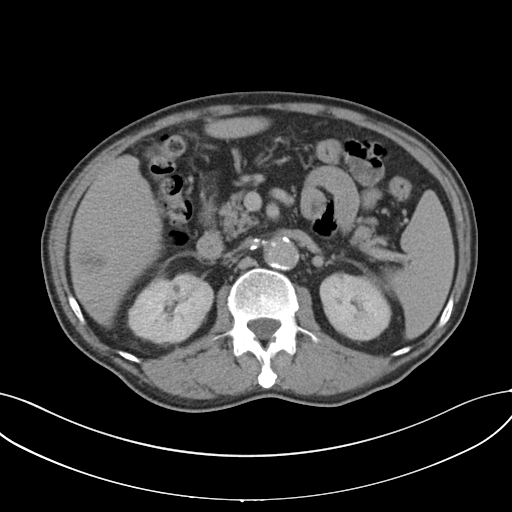
| field | value |
|---|---|
| modality | multiphase abdominal CT, liver, delayed phase |
| patient | male, age 69 |